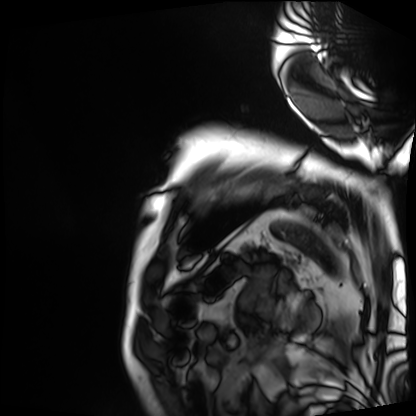
– modality · cardiac MRI
– subject group · patient